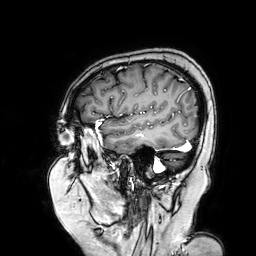
modality=3 Tesla brain MRI; series=3D T1-weighted turbo field echo with SENSE; study=ring-enhancing brain masses.